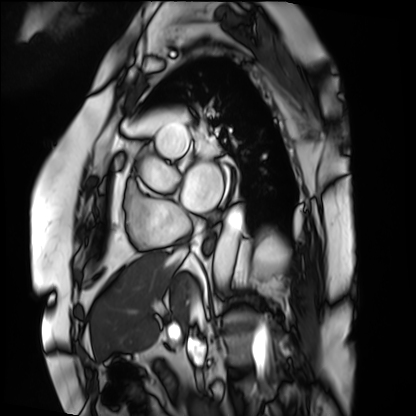
| field | value |
|---|---|
| modality | cardiac MRI |
| subject group | patient |